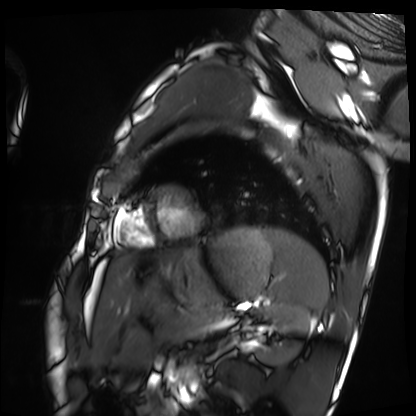
Case summary: Cardiac MRI. Subject group: healthy volunteer.